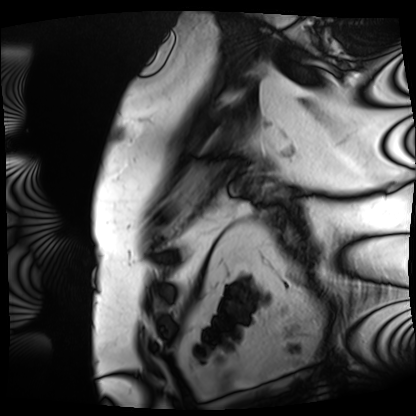
| field | value |
|---|---|
| modality | cardiac MRI |
| subject group | patient |